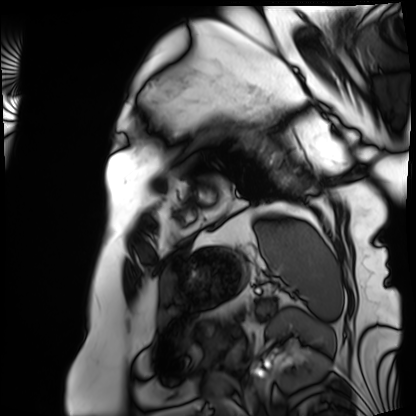
Summary:
Cardiac MRI. Subject group: patient.